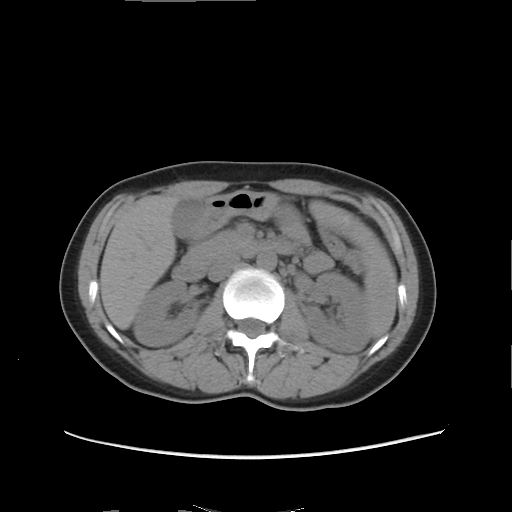
modality: multiphase abdominal CT, liver, non-contrast phase
patient: female, age 36